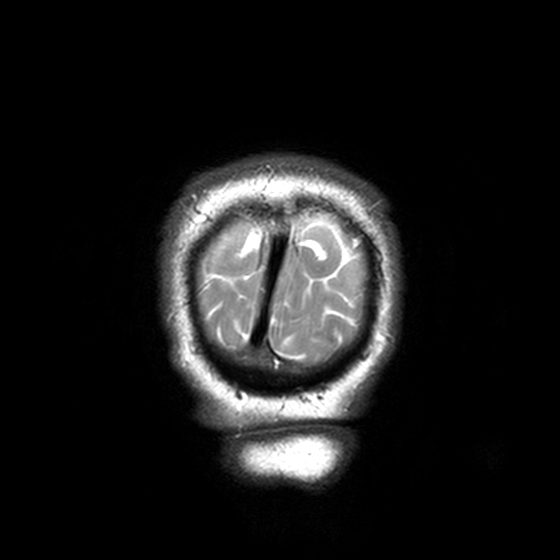
3 Tesla brain MRI. Series: T2-weighted turbo spin echo, 3 mm. Study: ring-enhancing brain masses.